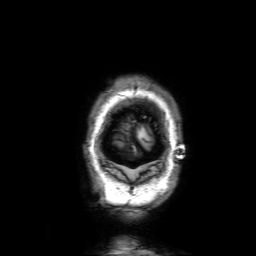
3 Tesla brain MRI.
Series: 3D T1-weighted with SENSE.
Study: ring-enhancing brain masses.